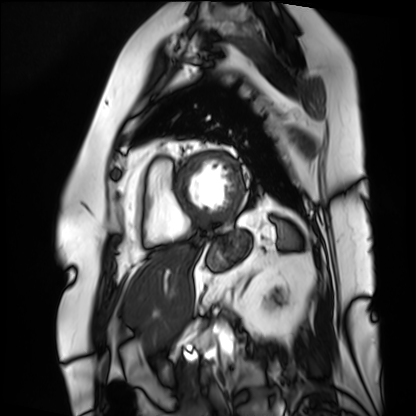
Q: What kind of scan is this?
A: Cardiac MRI.
Subject group: patient.